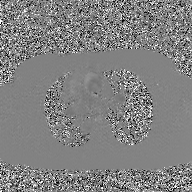
| field | value |
|---|---|
| modality | 2D phase-contrast cine MRI of the ascending aorta, GAN super-resolution reconstruction |